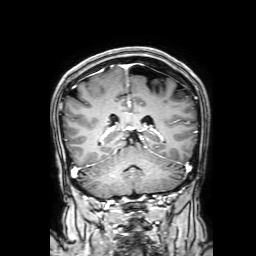
3 Tesla brain MRI. Series: 3D T1-weighted with SENSE. Study: ring-enhancing brain masses.